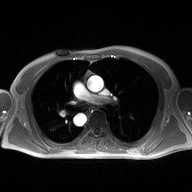
2D phase-contrast cine MRI of the ascending aorta, high-resolution GRAPPA acquisition.